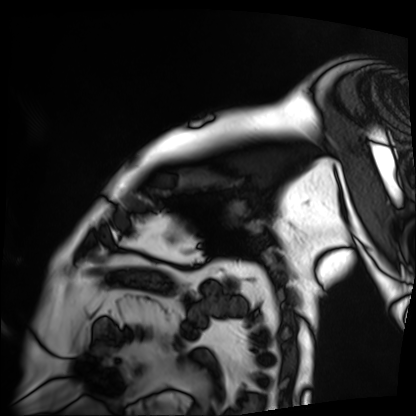
{
  "modality": "cardiac MRI",
  "cohort": "patient"
}